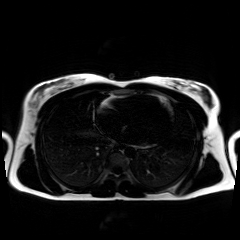
  modality: chemical-shift-encoded cardiac MRI